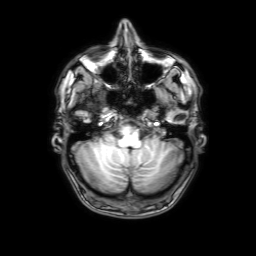
modality = 3 Tesla brain MRI; study = ring-enhancing brain masses.